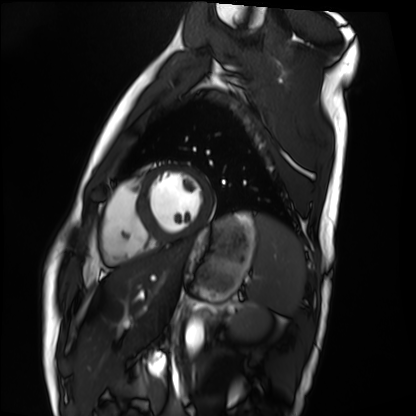
Cardiac MRI. Subject group: healthy volunteer.